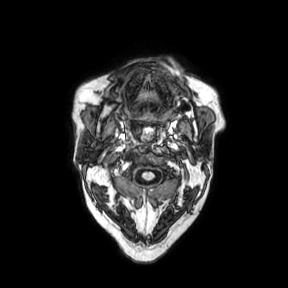
Case summary: 3 Tesla brain MRI. Series: axial. Study: ring-enhancing brain masses.